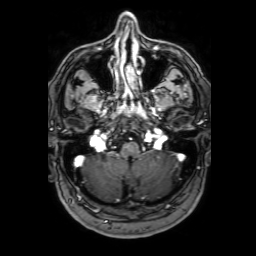
Clinical context:
3 Tesla brain MRI. Series: 3D T1-weighted with SENSE. Study: ring-enhancing brain masses.